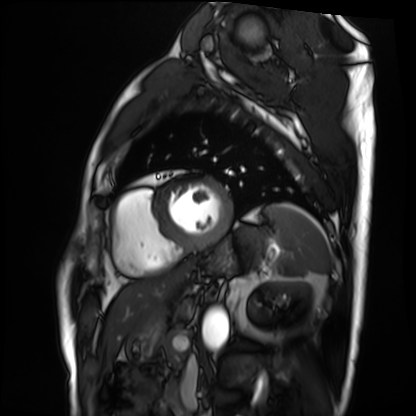
modality = cardiac MRI; subject group = patient.